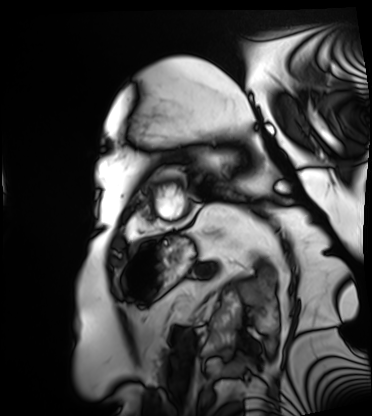
Cardiac MRI. Subject group: patient.